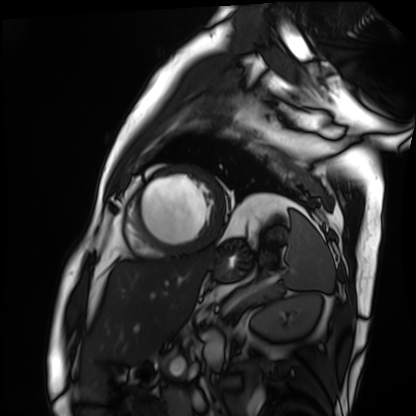
modality = cardiac MRI | subject group = patient.